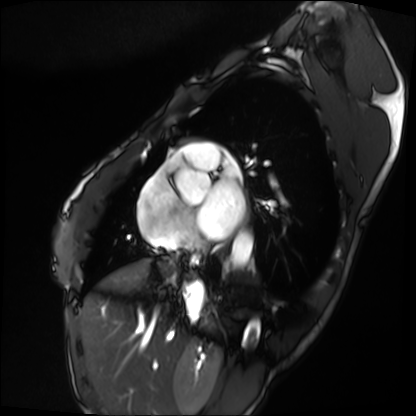
Cardiac MRI. Subject group: patient.